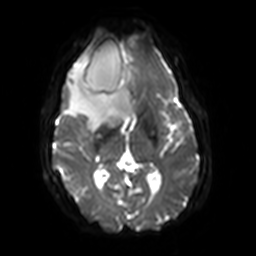
<scan>
<modality>
  <type>brain MRI</type>
  <field_strength>3T</field_strength>
</modality>
<series>diffusion-weighted imaging with SENSE (WIP)</series>
<study_topic>ring-enhancing brain masses</study_topic>
</scan>